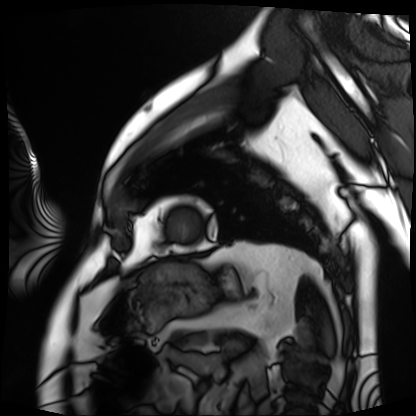
modality: cardiac MRI, subject group: patient.